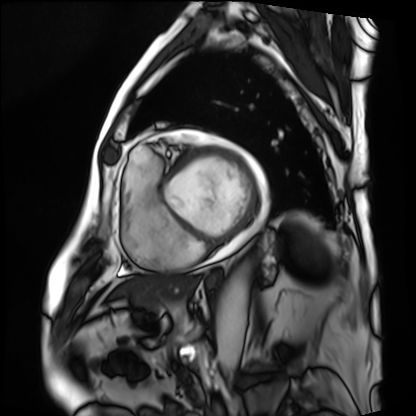
modality: cardiac MRI
subject group: patient